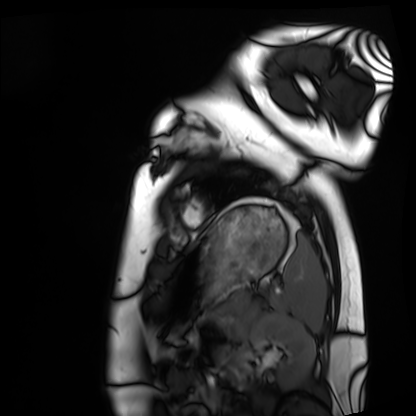
Cardiac MRI. Subject group: healthy volunteer.